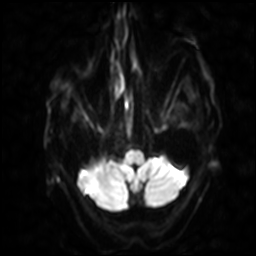
Case:
– modality · 3 Tesla brain MRI
– study · ring-enhancing brain masses